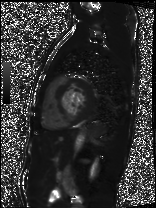
modality: cardiac MRI, subject group: patient.